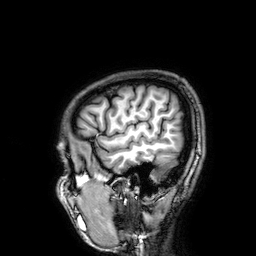
3 Tesla brain MRI. Series: 3D T1-weighted. Study: ring-enhancing brain masses.